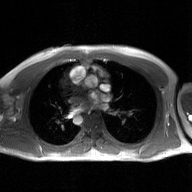
Summary: 2D phase-contrast cine MRI of the ascending aorta, GAN super-resolution reconstruction.